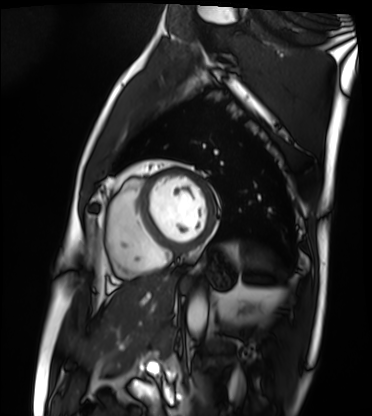
* modality · cardiac MRI
* subject group · patient